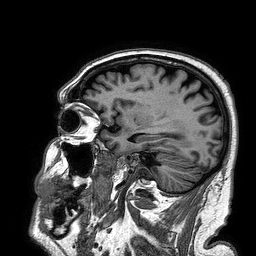
modality — 3 Tesla brain MRI | series — 3D T1-weighted turbo field echo | study — ring-enhancing brain masses.